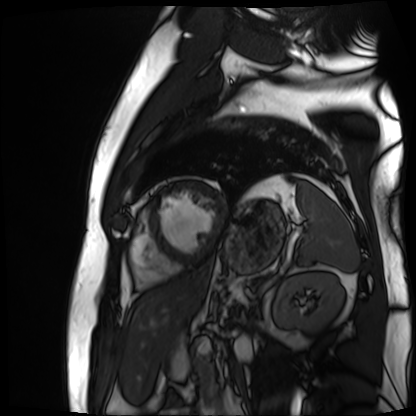
Cardiac MR image of the myocardium. Subject cohort: cardiac patient.